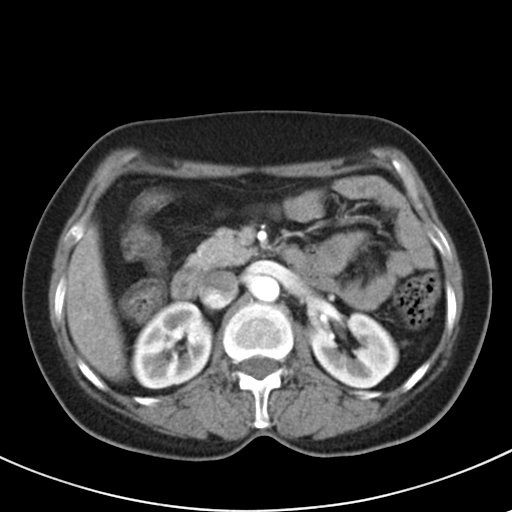
Multiphase abdominal CT, liver, arterial phase.
Patient: female, age 48.
History: prior chemotherapy.